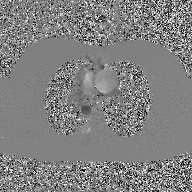
Case summary:
2D phase-contrast cine MRI of the ascending aorta, GAN super-resolution reconstruction.